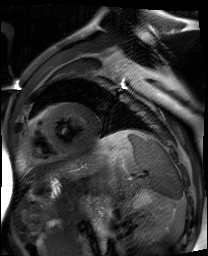
Case:
– modality — cardiac MR image of the myocardium
– subject cohort — cardiac patient